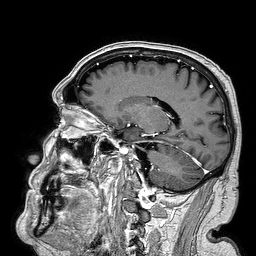
Summary: 3 Tesla brain MRI. Series: 3D T1-weighted turbo field echo. Study: ring-enhancing brain masses.